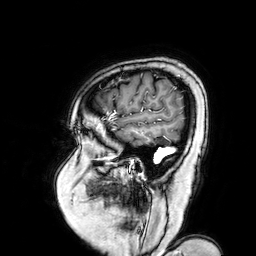
Clinical context:
3 Tesla brain MRI. Series: 3D T1-weighted turbo field echo with SENSE. Study: ring-enhancing brain masses.